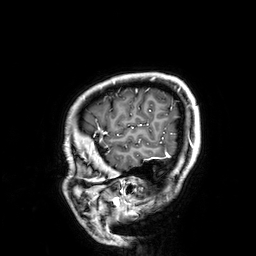
Clinical context: 3 Tesla brain MRI. Series: 3D T1-weighted. Study: ring-enhancing brain masses.